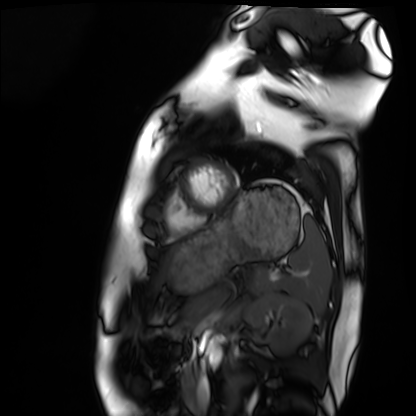
<scan>
  <modality>cardiac MRI</modality>
  <cohort>healthy volunteer</cohort>
</scan>